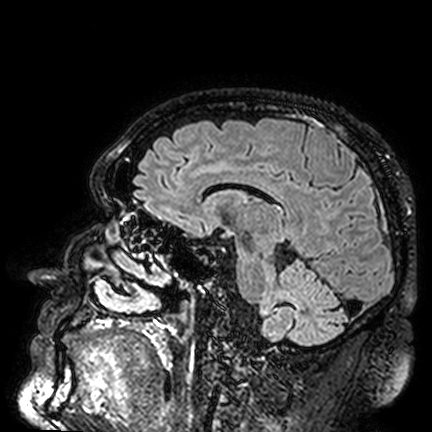
modality: 3 Tesla brain MRI
series: FLAIR VISTA
study: ring-enhancing brain masses